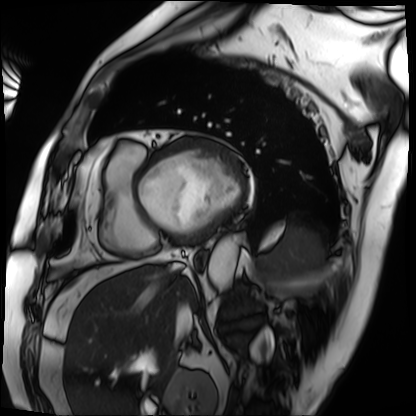
modality: cardiac MRI | subject group: patient.